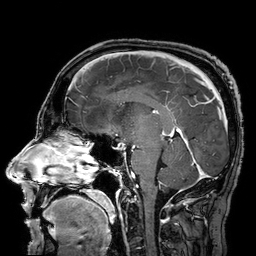
modality — 3 Tesla brain MRI | series — 3D T1-weighted turbo field echo with SENSE | study — ring-enhancing brain masses.